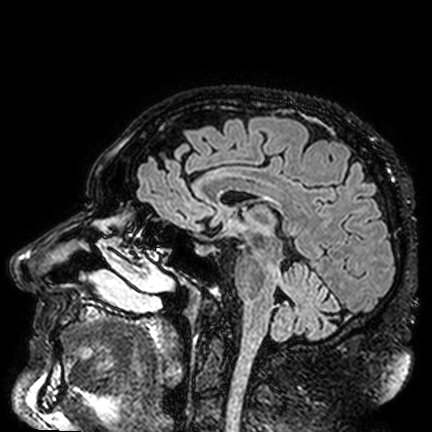
| field | value |
|---|---|
| modality | 3 Tesla brain MRI |
| series | FLAIR VISTA |
| study | ring-enhancing brain masses |